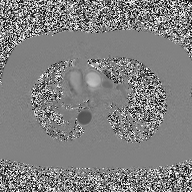
2D phase-contrast cine MRI of the ascending aorta, high-resolution GRAPPA acquisition.